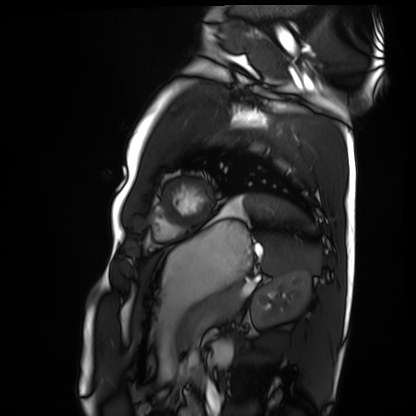
{"modality": "cardiac MRI", "cohort": "healthy volunteer"}